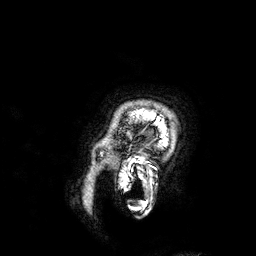
Clinical context:
3 Tesla brain MRI. Series: 3D T1-weighted. Study: ring-enhancing brain masses.